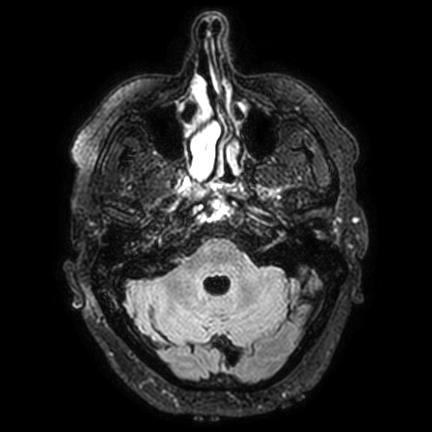
modality:
  type: brain MRI
  field_strength: 3T
series: FLAIR VISTA with SENSE
study_topic: ring-enhancing brain masses